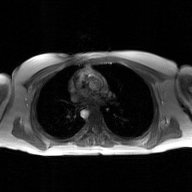
Case summary: 2D phase-contrast cine MRI of the ascending aorta, GAN super-resolution reconstruction.